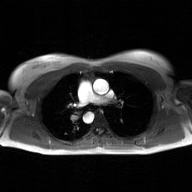
Clinical context: 2D phase-contrast cine MRI of the ascending aorta, GAN super-resolution reconstruction.